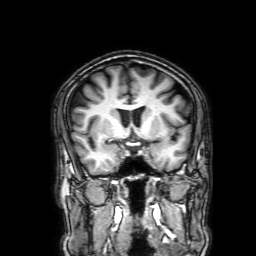
3 Tesla brain MRI. Series: 3D T1-weighted with SENSE. Study: ring-enhancing brain masses.